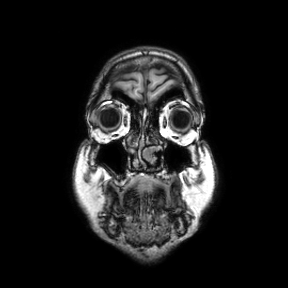
Summary:
3 Tesla brain MRI. Series: coronal. Study: ring-enhancing brain masses.